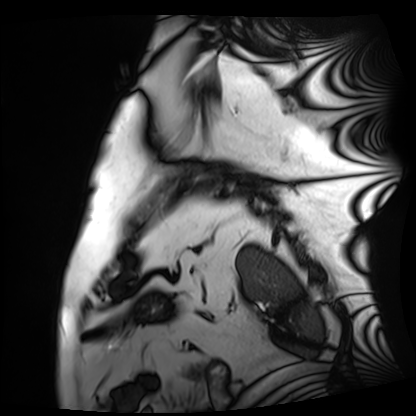
Cardiac MRI.
Subject group: patient.